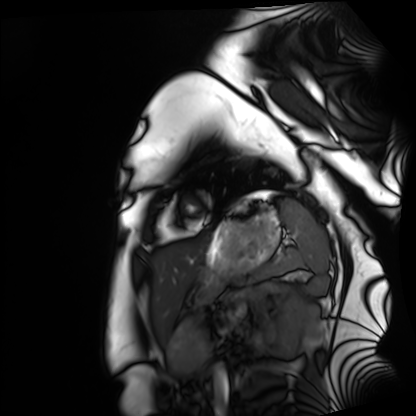
modality — cardiac MRI; subject group — healthy volunteer.